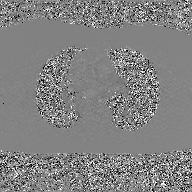
modality: 2D phase-contrast cine MRI of the ascending aorta, GAN super-resolution reconstruction.